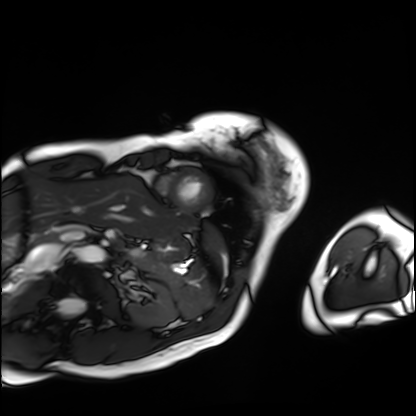
Cardiac MRI. Subject group: patient.